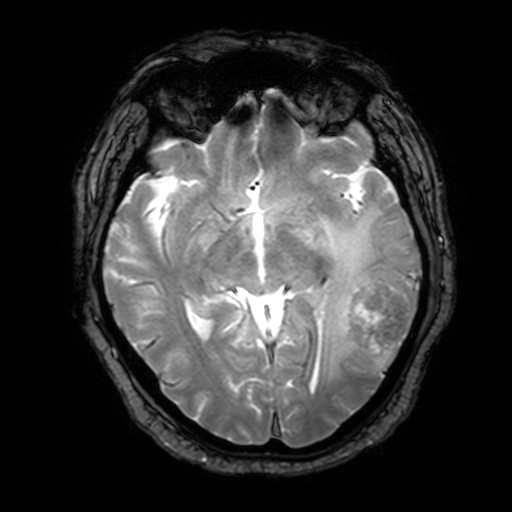
Case:
• modality: 3 Tesla brain MRI
• series: T2-weighted fast field echo with SENSE
• study: ring-enhancing brain masses